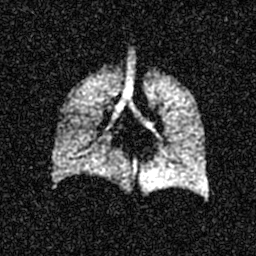
Q: What kind of scan is this?
A: Hyperpolarized 129Xe ventilation MRI of the lungs.
Q: SNR level?
A: 5 of 8 (the deposit holds this scan as its native image and as seven SNR-degraded versions).